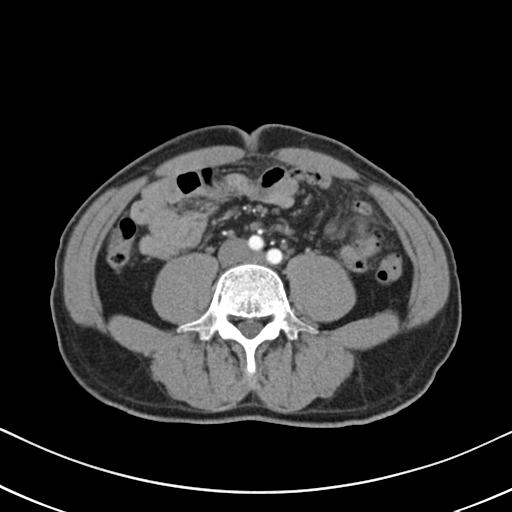
Case:
– modality — multiphase abdominal CT, liver, arterial phase
– patient — male, age 57
– history — cirrhosis, viral hepatitis